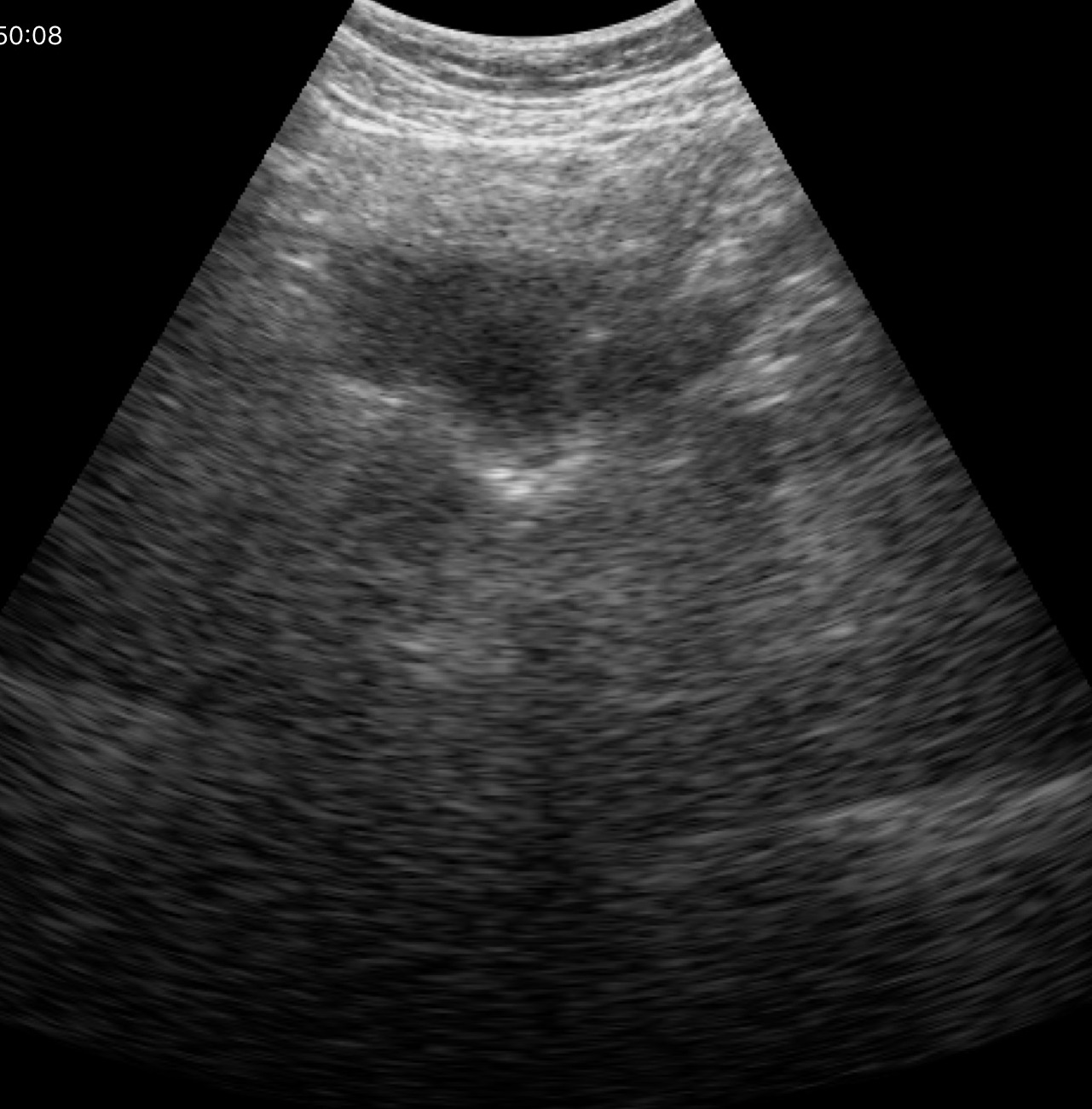
Genitourinary ultrasound.